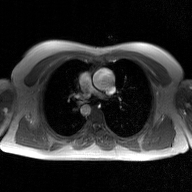
| field | value |
|---|---|
| modality | 2D phase-contrast cine MRI of the ascending aorta, GAN super-resolution reconstruction |